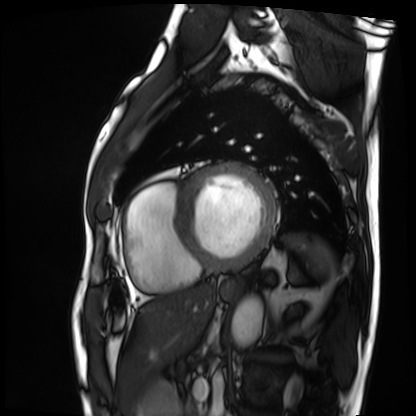
Cardiac MRI. Subject group: patient.